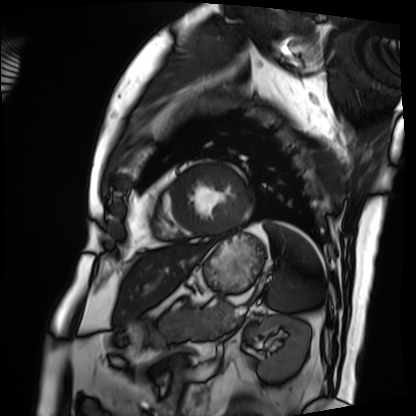
Cardiac MRI. Subject group: patient.